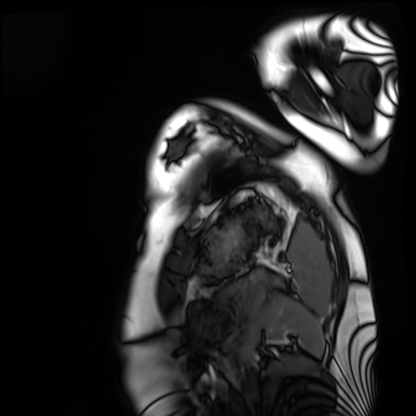
Cardiac MRI. Subject group: healthy volunteer.